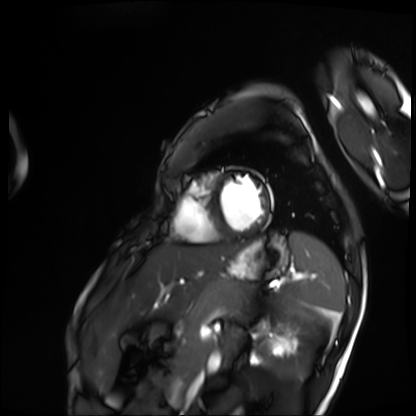
Case:
- modality · cardiac MRI
- subject group · patient